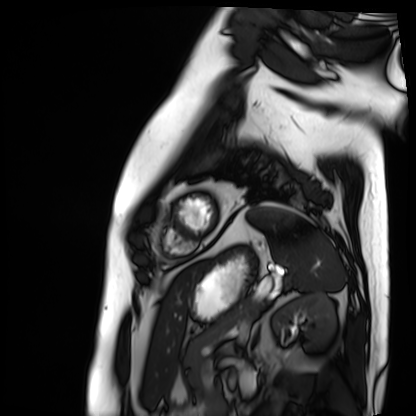
Cardiac MRI.
Subject group: patient.